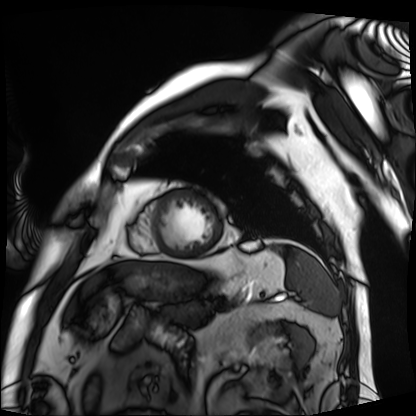
Case:
- modality · cardiac MRI
- subject group · patient